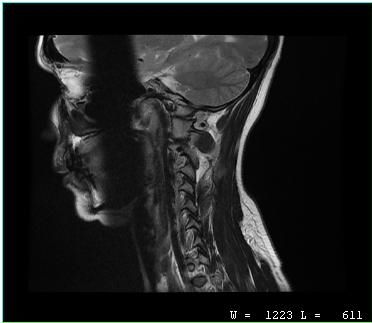
MRI of the cervical spine.
Study: cervical spondylosis.